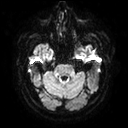
3 Tesla brain MRI.
Series: diffusion tensor imaging (medium iso).
Study: ring-enhancing brain masses.